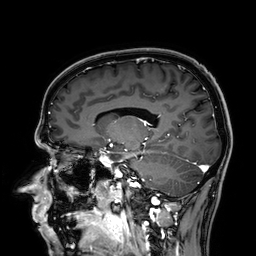
Q: What kind of scan is this?
A: 3 Tesla brain MRI.
Q: Series?
A: 3D T1-weighted.
Study: ring-enhancing brain masses.